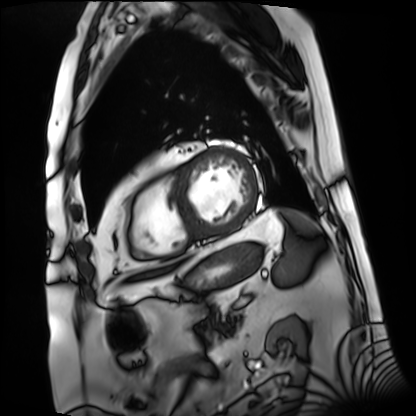
Summary: Cardiac MRI. Subject group: patient.